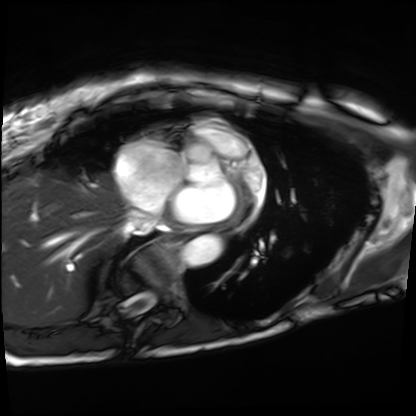
Summary: Cardiac MRI. Subject group: patient.